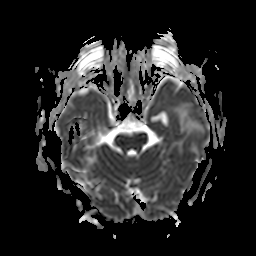
Summary:
3 Tesla brain MRI. Series: apparent diffusion coefficient (ADC) map. Study: ring-enhancing brain masses.